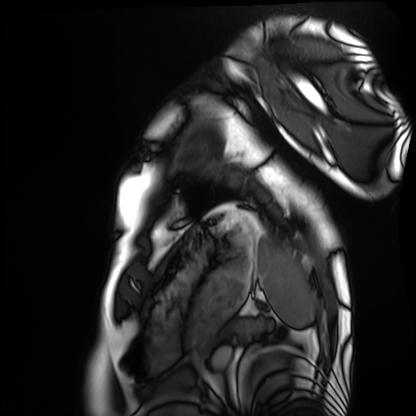
modality=cardiac MRI
subject group=healthy volunteer